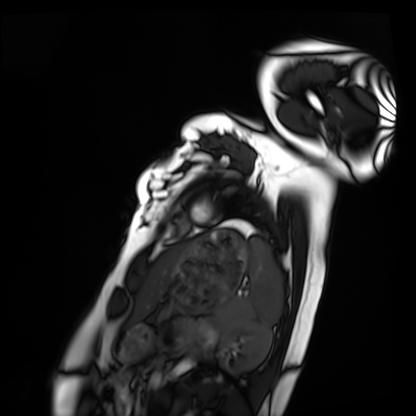
Clinical context: Cardiac MRI. Subject group: healthy volunteer.